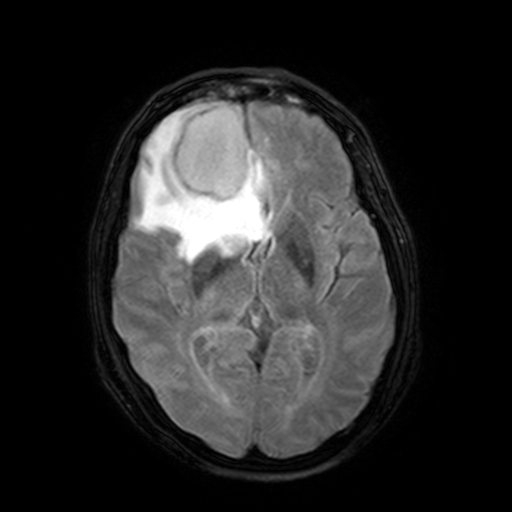
3 Tesla brain MRI. Series: FLAIR with SPAIR, 3 mm. Study: ring-enhancing brain masses.